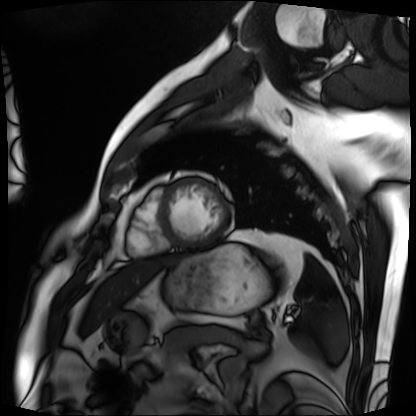
Case:
* modality: cardiac MRI
* subject group: patient